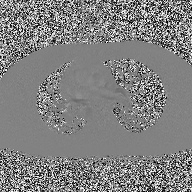
Summary: 2D phase-contrast cine MRI of the ascending aorta, high-resolution GRAPPA acquisition.